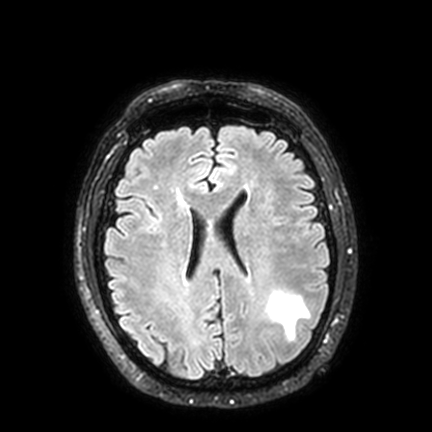
{
  "modality": {
    "type": "brain MRI",
    "field_strength": "3T"
  },
  "series": "FLAIR VISTA with SENSE",
  "study_topic": "ring-enhancing brain masses"
}